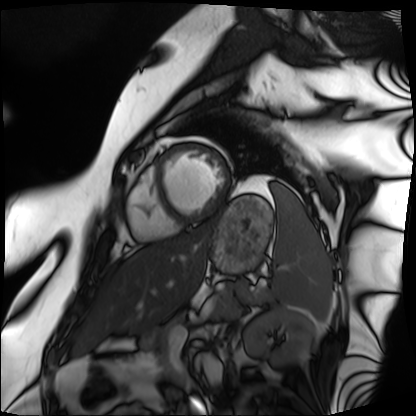
Cardiac MRI. Subject group: patient.